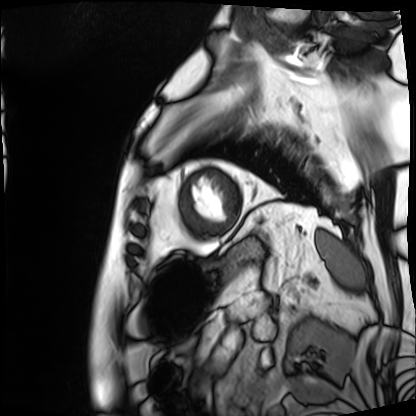
Cardiac MRI. Subject group: patient.